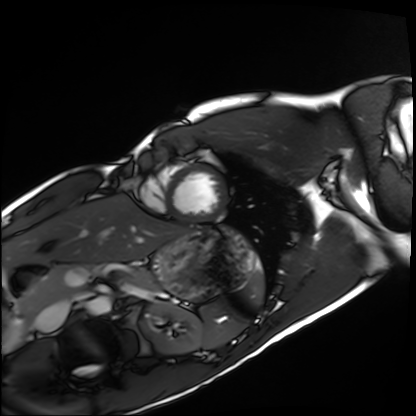
• modality — cardiac MRI
• subject group — healthy volunteer